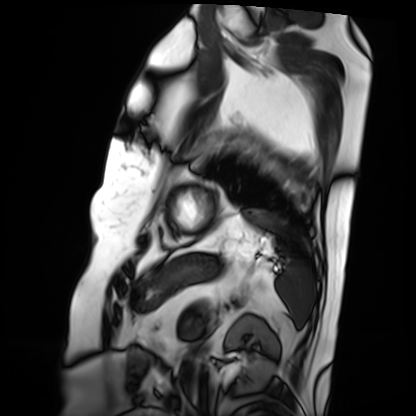
Q: What kind of scan is this?
A: Cardiac MRI.
Subject group: patient.